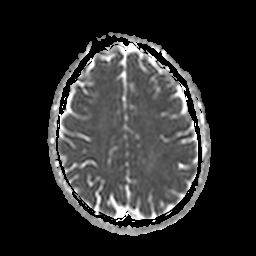
3 Tesla brain MRI. Series: apparent diffusion coefficient (ADC) map. Study: ring-enhancing brain masses.